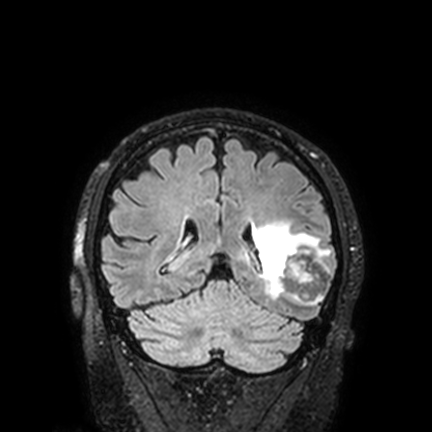
{
  "modality": {
    "type": "brain MRI",
    "field_strength": "3T"
  },
  "series": "FLAIR VISTA with SENSE",
  "study_topic": "ring-enhancing brain masses"
}